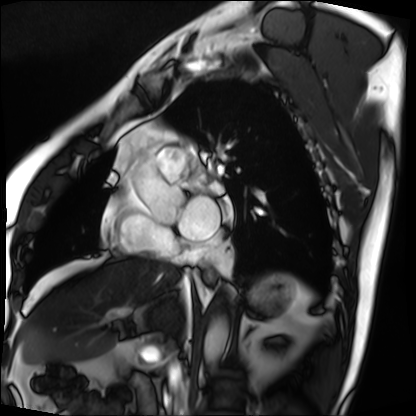
Cardiac MRI. Subject group: patient.